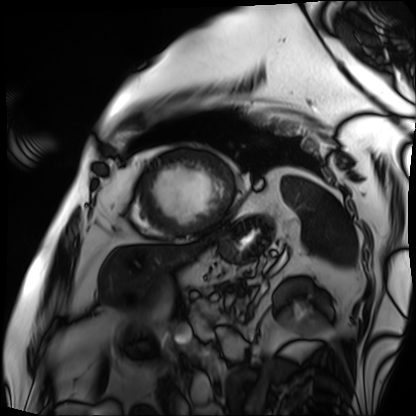
| field | value |
|---|---|
| modality | cardiac MRI |
| subject group | patient |